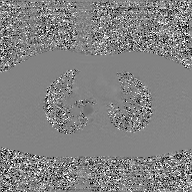
Clinical context:
2D phase-contrast cine MRI of the ascending aorta, GAN super-resolution reconstruction.